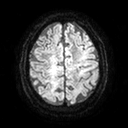
• modality: 3 Tesla brain MRI
• series: diffusion tensor imaging (medium iso)
• study: ring-enhancing brain masses